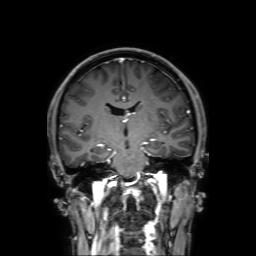
Summary: 3 Tesla brain MRI. Series: 3D T1-weighted with SENSE. Study: ring-enhancing brain masses.